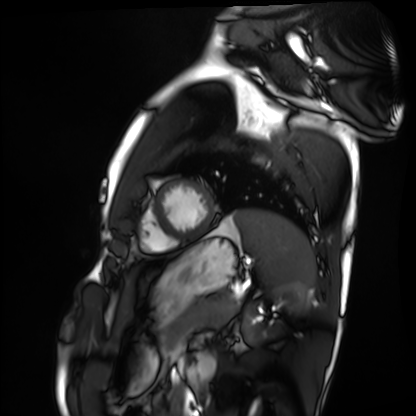
* modality · cardiac MRI
* subject group · healthy volunteer